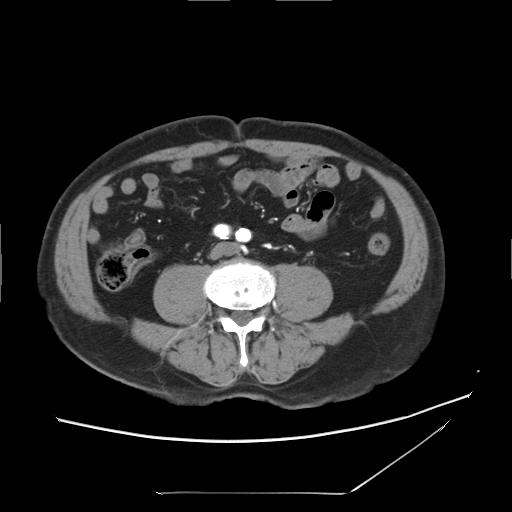
Case summary:
Multiphase abdominal CT, liver, arterial phase. Patient: male, age 75. History: cirrhosis, viral hepatitis.